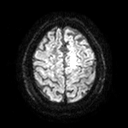
Case:
– modality · 3 Tesla brain MRI
– series · diffusion tensor imaging (medium iso)
– study · ring-enhancing brain masses